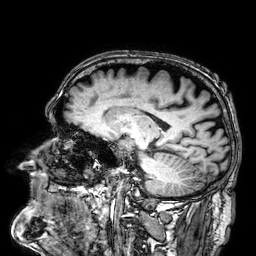
Clinical context:
3 Tesla brain MRI. Series: 3D T1-weighted. Study: ring-enhancing brain masses.